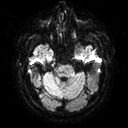
Q: What kind of scan is this?
A: 3 Tesla brain MRI.
Q: Series?
A: Diffusion tensor imaging (medium iso).
Study: ring-enhancing brain masses.